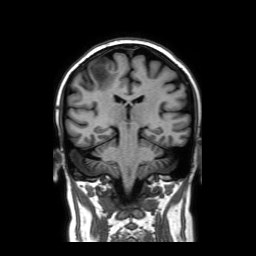
Clinical context:
3 Tesla brain MRI. Series: coronal without contrast. Study: ring-enhancing brain masses.